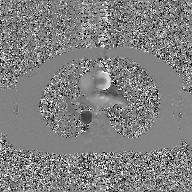
modality: 2D phase-contrast cine MRI of the ascending aorta, GAN super-resolution reconstruction.